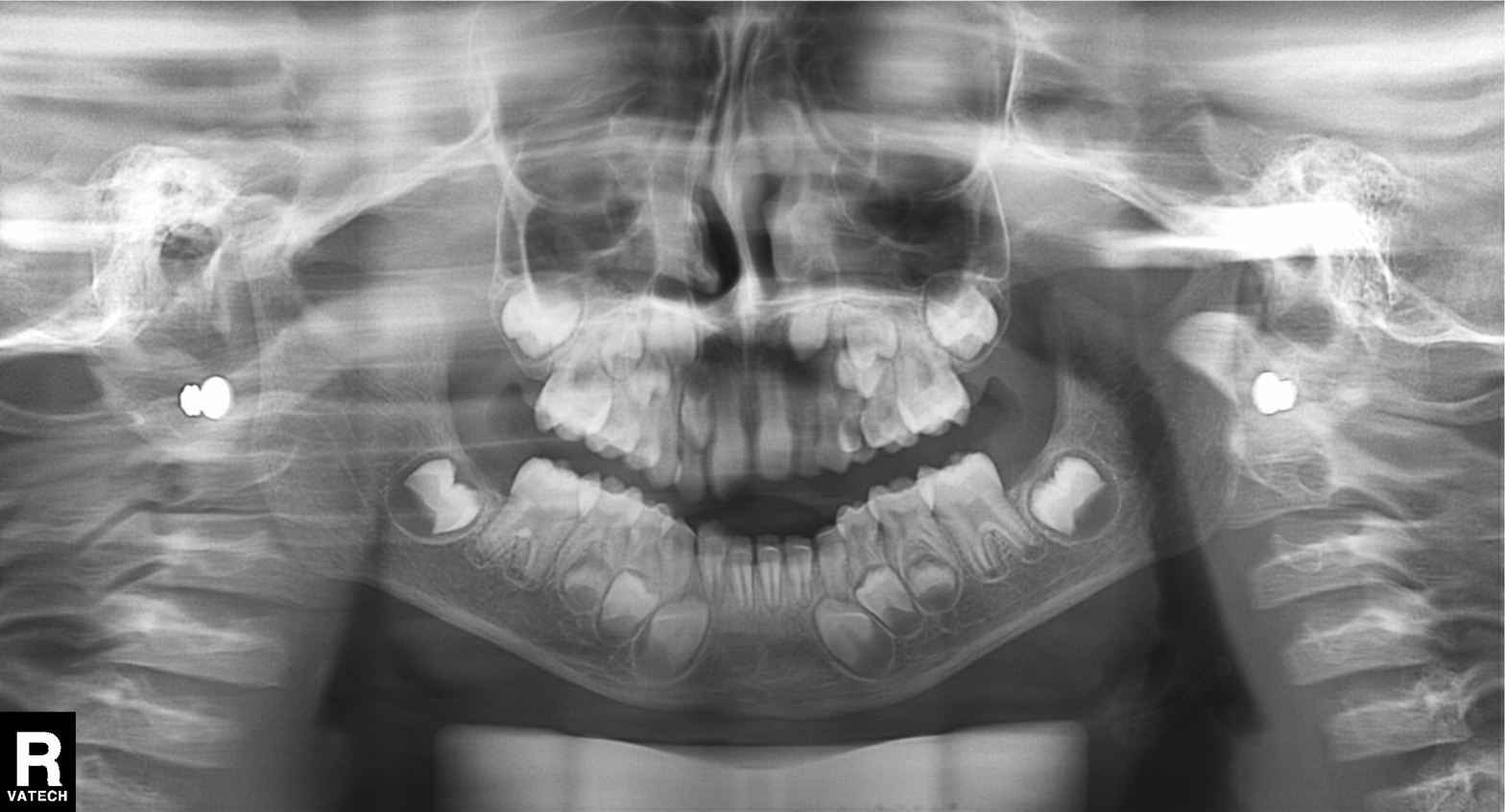
modality: panoramic dental radiograph (orthopantomogram)
finding: alveolar bone loss